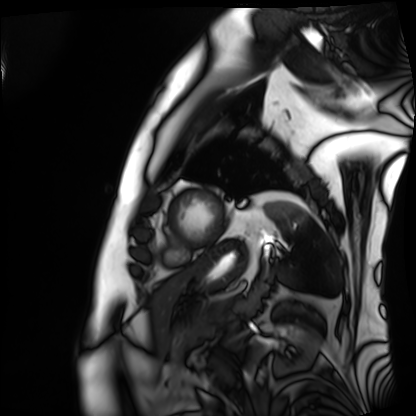
Cardiac MRI. Subject group: patient.